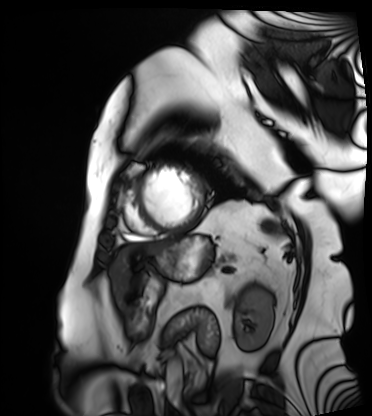
Cardiac MRI. Subject group: patient.